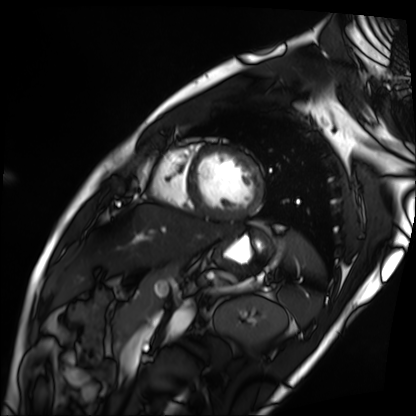
Clinical context: Cardiac MRI. Subject group: patient.